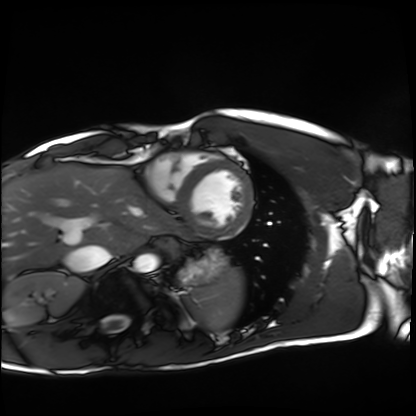
Cardiac MRI. Subject group: healthy volunteer.